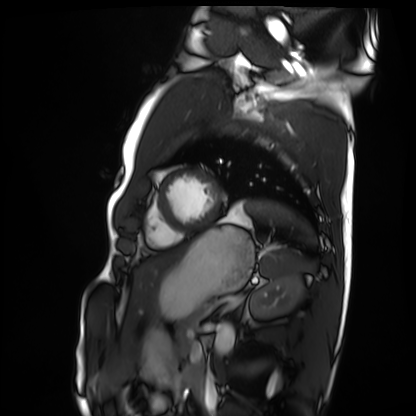
Summary:
Cardiac MRI. Subject group: healthy volunteer.